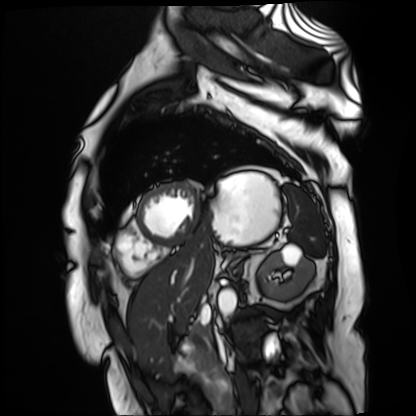
| field | value |
|---|---|
| modality | cardiac MR image of the myocardium |
| subject cohort | cardiac patient |